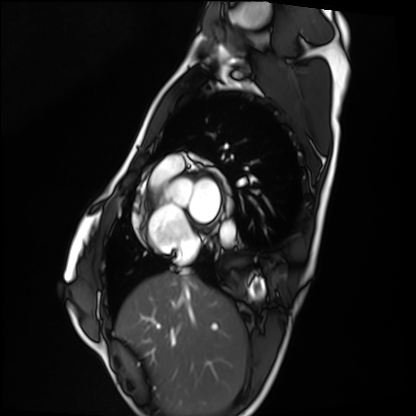
modality = cardiac MRI; subject group = healthy volunteer.